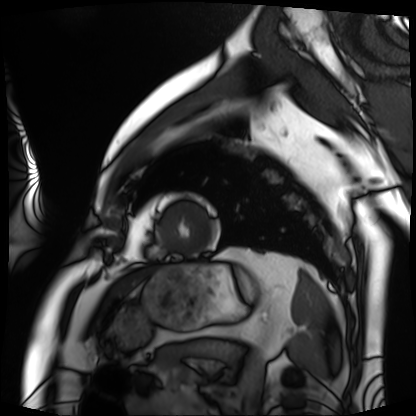
Case summary:
Cardiac MRI. Subject group: patient.